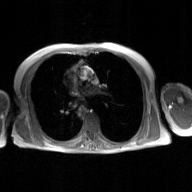
2D phase-contrast cine MRI of the ascending aorta, GAN super-resolution reconstruction.